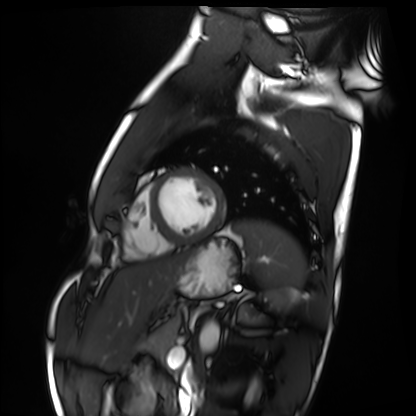
Cardiac MRI. Subject group: healthy volunteer.